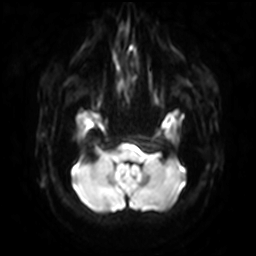
| field | value |
|---|---|
| modality | 3 Tesla brain MRI |
| series | diffusion-weighted imaging with SENSE (WIP) |
| study | ring-enhancing brain masses |